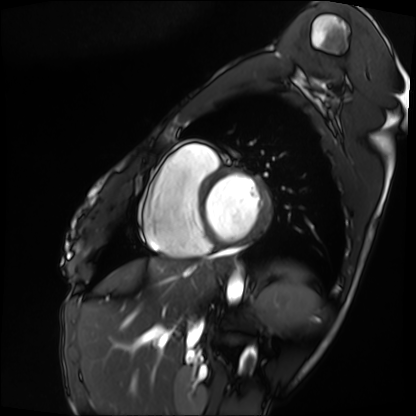
modality: cardiac MRI
subject group: patient